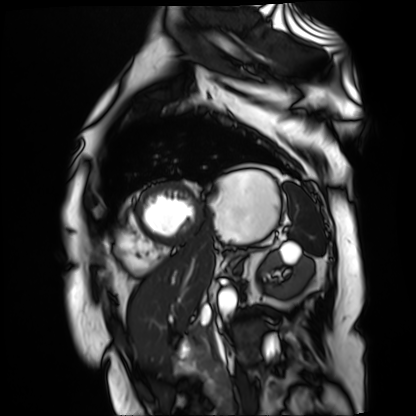
Cardiac MR image of the myocardium. Subject cohort: cardiac patient.